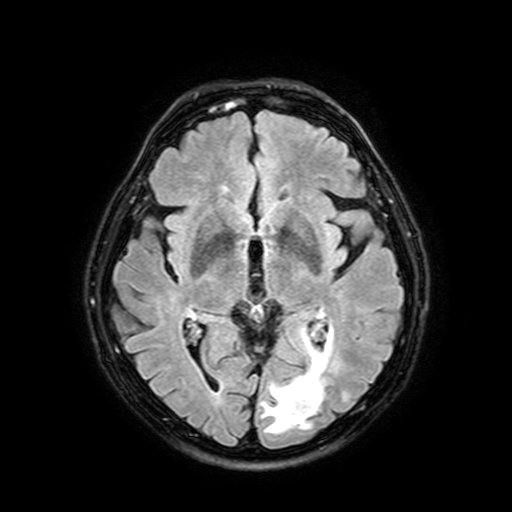
Summary:
3 Tesla brain MRI. Series: FLAIR with SPAIR, 3 mm. Study: ring-enhancing brain masses.